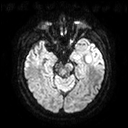
3 Tesla brain MRI.
Series: diffusion tensor imaging (medium iso).
Study: ring-enhancing brain masses.